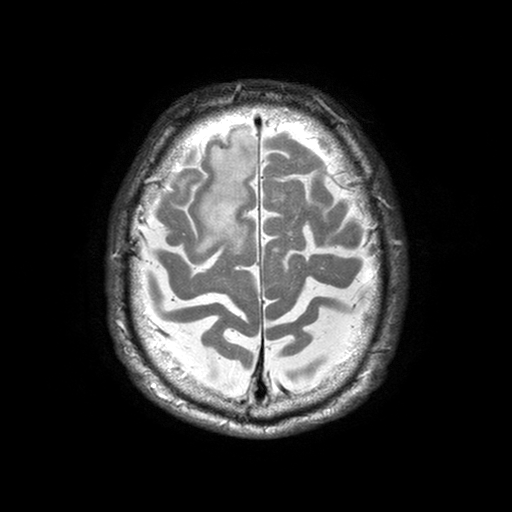
• modality — 3 Tesla brain MRI
• series — T2-weighted turbo spin echo with SENSE
• study — ring-enhancing brain masses